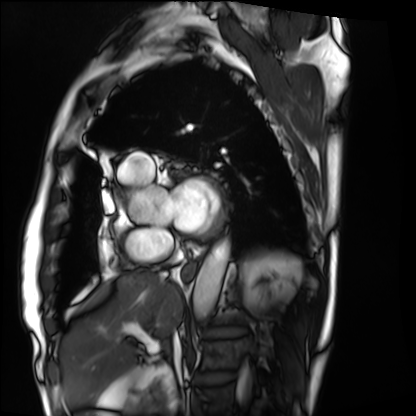
Case summary:
Cardiac MRI. Subject group: patient.